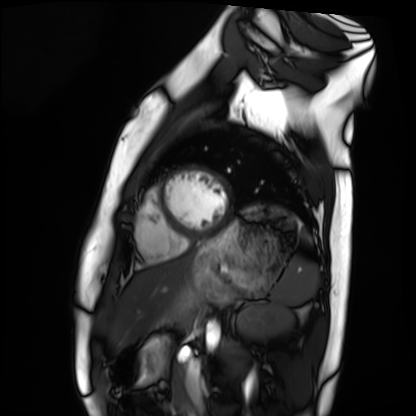
Cardiac MRI. Subject group: healthy volunteer.